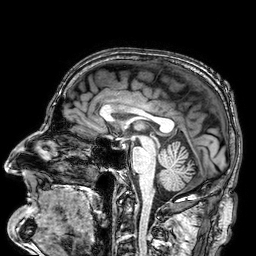
Summary: 3 Tesla brain MRI. Series: 3D T1-weighted. Study: ring-enhancing brain masses.